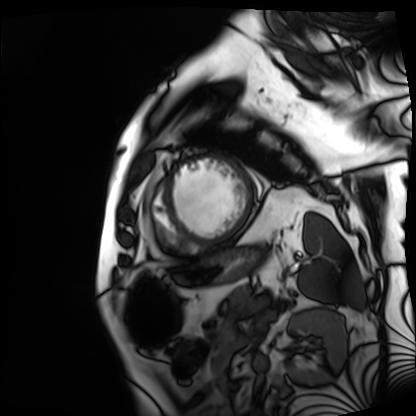
modality: cardiac MRI
cohort: patient